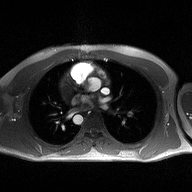
Q: What kind of scan is this?
A: 2D phase-contrast cine MRI of the ascending aorta.